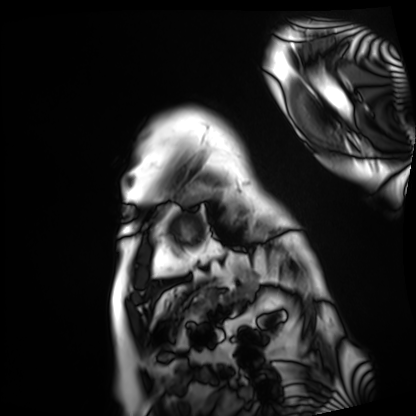
Clinical context: Cardiac MRI. Subject group: patient.